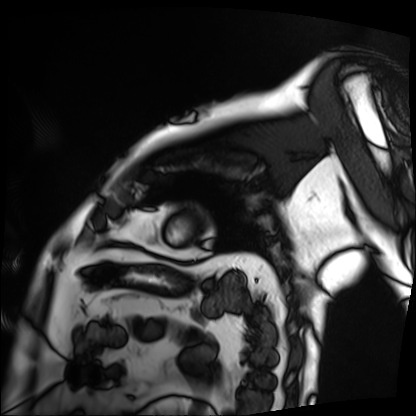
Cardiac MRI. Subject group: patient.